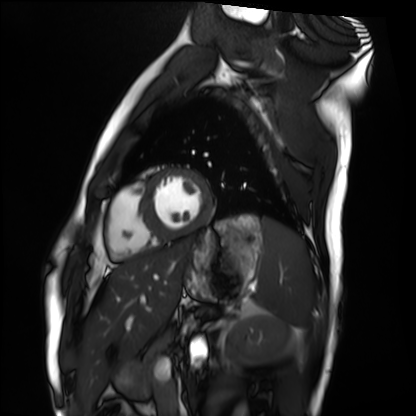
Cardiac MRI. Subject group: healthy volunteer.